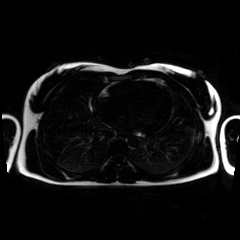
Q: What kind of scan is this?
A: Chemical-shift-encoded cardiac MRI.